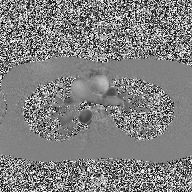
Case summary:
2D phase-contrast cine MRI of the ascending aorta, high-resolution GRAPPA acquisition.